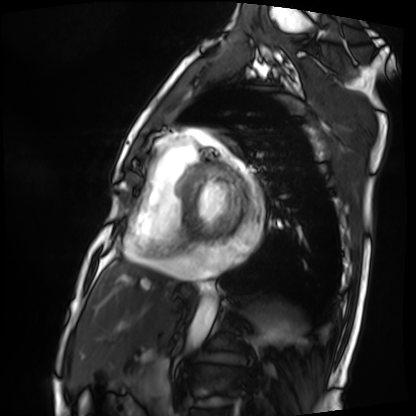
modality: cardiac MRI; subject group: patient.